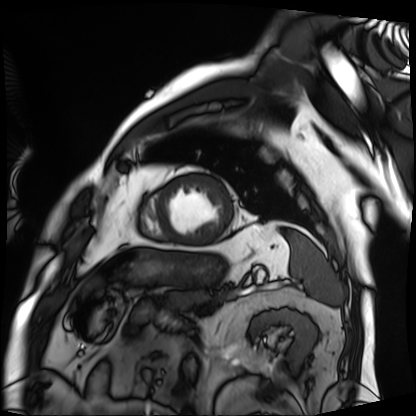
Cardiac MRI. Subject group: patient.